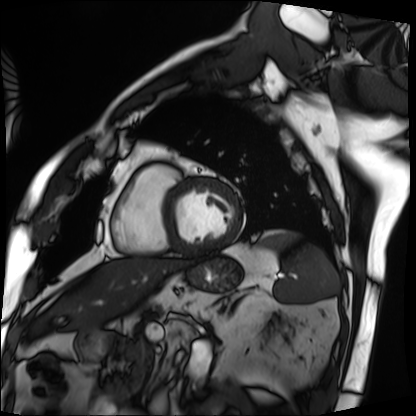
| field | value |
|---|---|
| modality | cardiac MRI |
| subject group | patient |